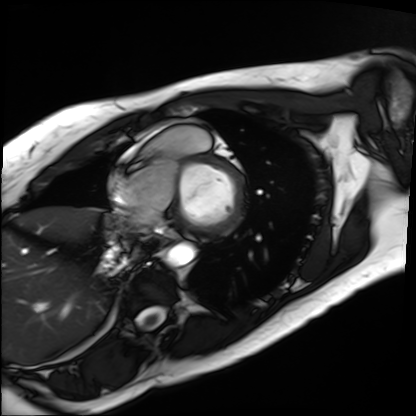
  modality: cardiac MRI
  cohort: patient